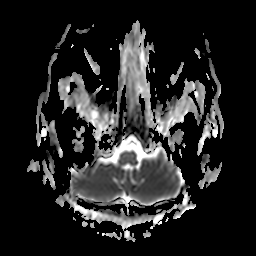
Summary:
3 Tesla brain MRI. Series: apparent diffusion coefficient (ADC) map. Study: ring-enhancing brain masses.